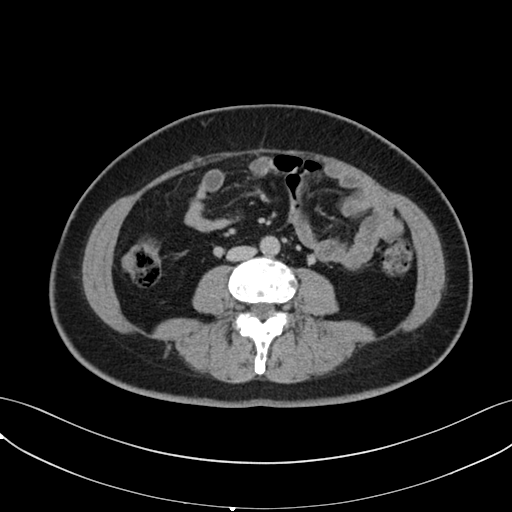
Q: What kind of scan is this?
A: Multiphase abdominal CT, liver, delayed phase.
Q: Patient?
A: Female, age 43.
Q: History?
A: Prior chemotherapy.